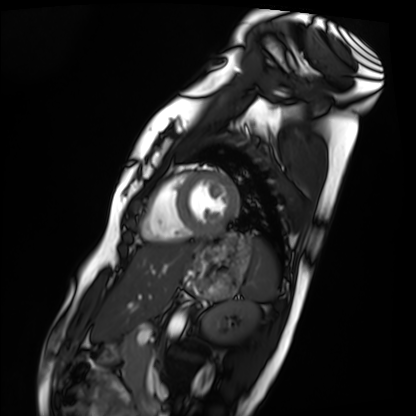
Clinical context:
Cardiac MRI. Subject group: healthy volunteer.